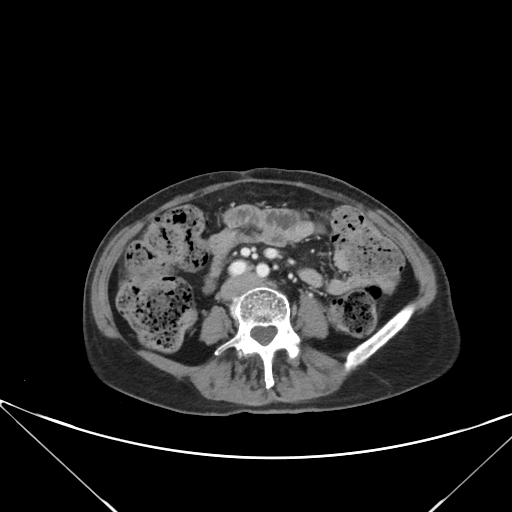
Multiphase abdominal CT, liver, portal venous phase. Patient: female, age 63.